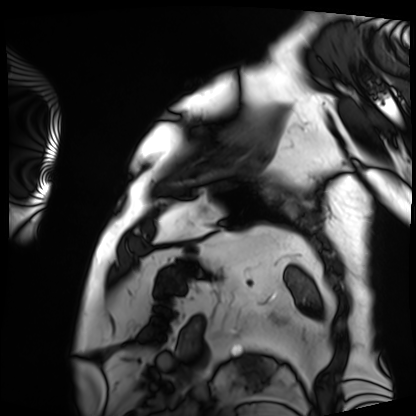
Summary:
Cardiac MRI. Subject group: patient.